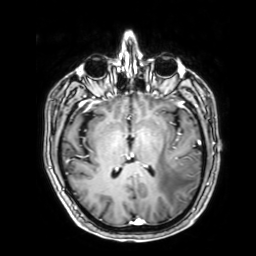
3 Tesla brain MRI. Series: 3D T1-weighted with SENSE. Study: ring-enhancing brain masses.